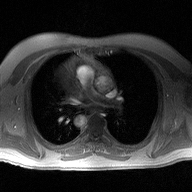
2D phase-contrast cine MRI of the ascending aorta, high-resolution GRAPPA acquisition.